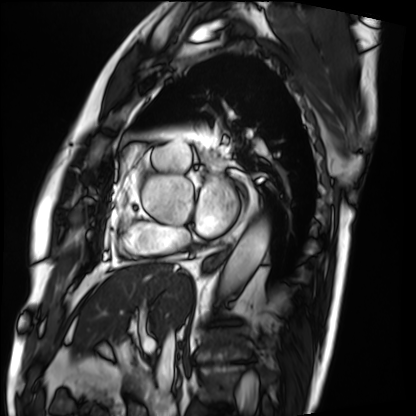
Cardiac MRI. Subject group: patient.